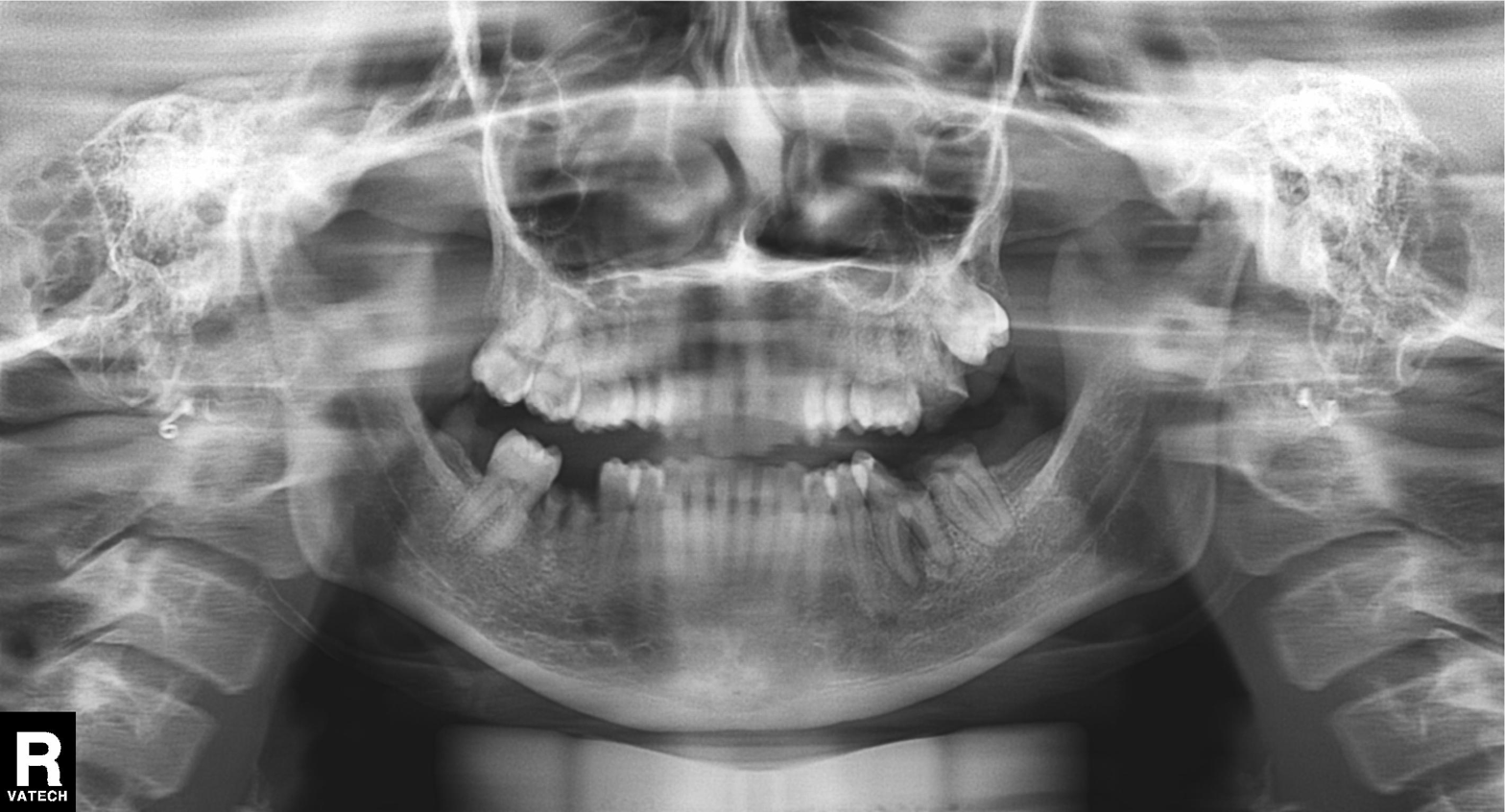
Panoramic dental radiograph (orthopantomogram). Finding: dental caries (cavities).